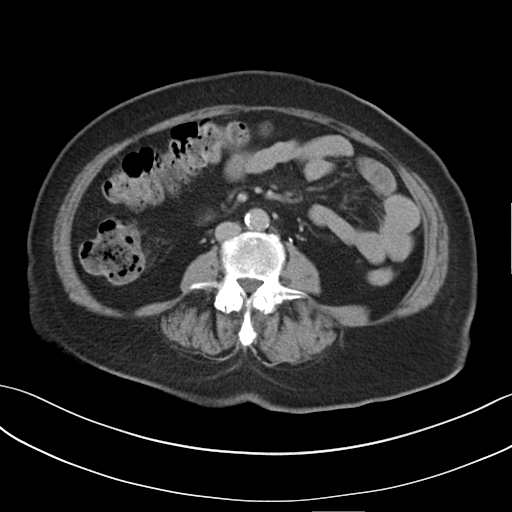
Case summary: Multiphase abdominal CT, liver, delayed phase. Patient: female, age 66.